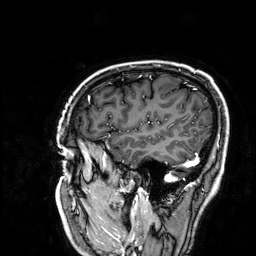
modality:
  type: brain MRI
  field_strength: 3T
series: 3D T1-weighted
study_topic: ring-enhancing brain masses